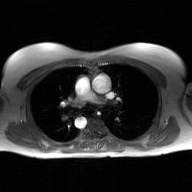
modality: 2D phase-contrast cine MRI of the ascending aorta, GAN super-resolution reconstruction.